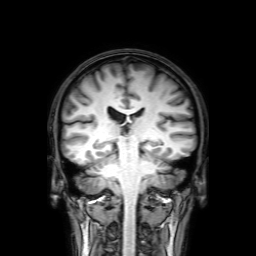
modality=3 Tesla brain MRI
series=3D T1-weighted with SENSE
study=ring-enhancing brain masses